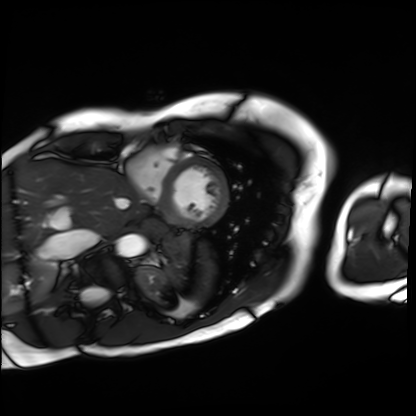
<case>
  <modality>cardiac MRI</modality>
  <cohort>patient</cohort>
</case>